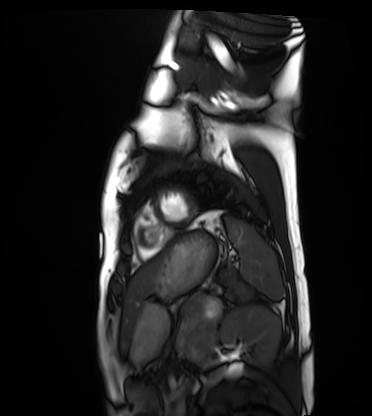
<record>
<modality>cardiac MRI</modality>
<cohort>healthy volunteer</cohort>
</record>